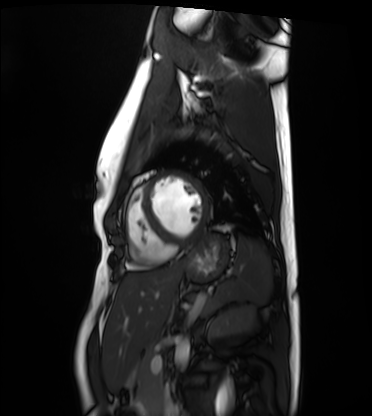
Cardiac MRI. Subject group: healthy volunteer.